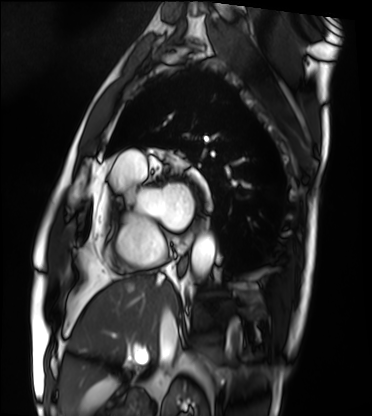
modality: cardiac MRI, subject group: patient.